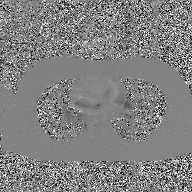
2D phase-contrast cine MRI of the ascending aorta, GAN super-resolution reconstruction.